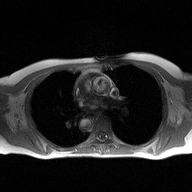
modality: 2D phase-contrast cine MRI of the ascending aorta.